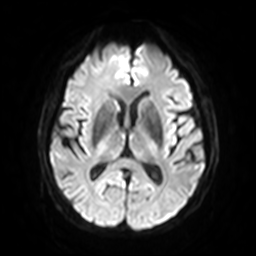
{
  "modality": {
    "type": "brain MRI",
    "field_strength": "3T"
  },
  "series": "diffusion-weighted imaging with SENSE (WIP)",
  "study_topic": "ring-enhancing brain masses"
}